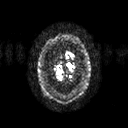
3 Tesla brain MRI. Series: diffusion tensor imaging (medium iso). Study: ring-enhancing brain masses.